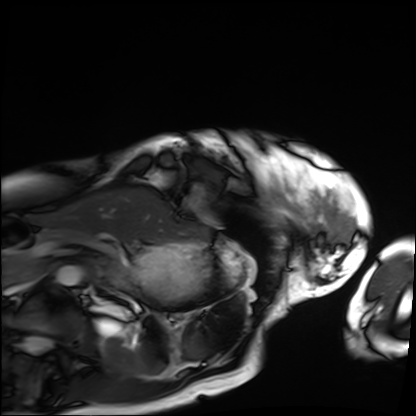
Clinical context: Cardiac MRI. Subject group: patient.